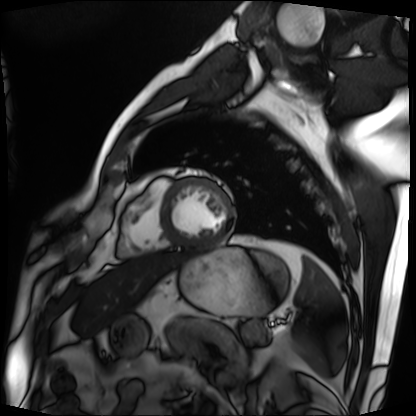
<record>
  <modality>cardiac MRI</modality>
  <cohort>patient</cohort>
</record>